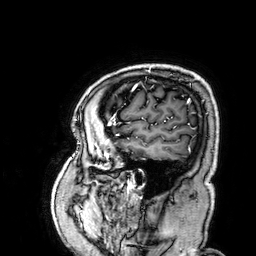
3 Tesla brain MRI. Study: ring-enhancing brain masses.